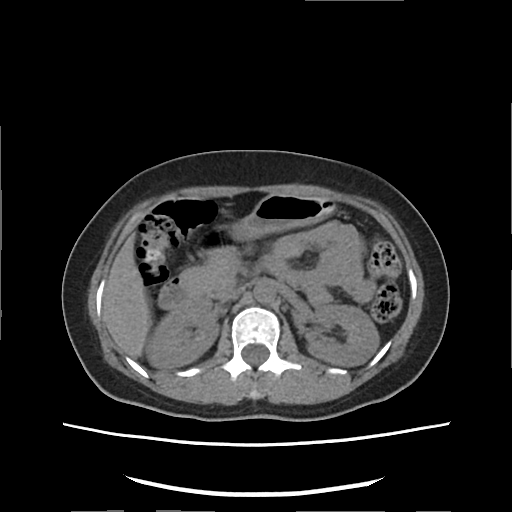
Multiphase abdominal CT, liver, non-contrast phase.
Patient: female, age 42.
History: viral hepatitis.